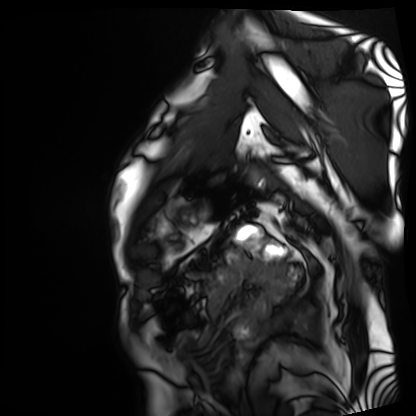
modality: cardiac MRI, subject group: patient.